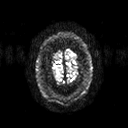
3 Tesla brain MRI. Study: ring-enhancing brain masses.